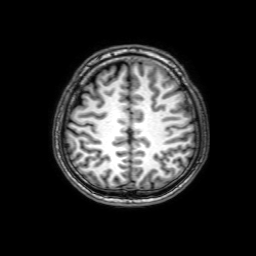
Clinical context:
3 Tesla brain MRI. Series: 3D T1-weighted with SENSE. Study: ring-enhancing brain masses.